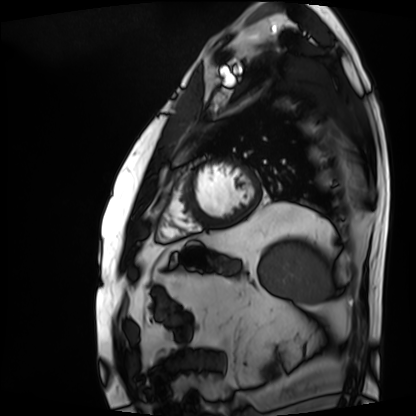
<record>
  <modality>cardiac MRI</modality>
  <cohort>patient</cohort>
</record>